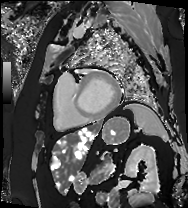
Cardiac MRI. Subject group: patient.